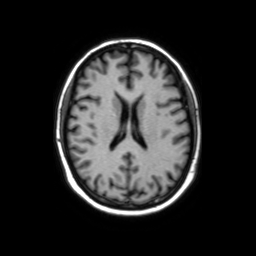
Clinical context: 3 Tesla brain MRI. Series: axial without contrast. Study: ring-enhancing brain masses.